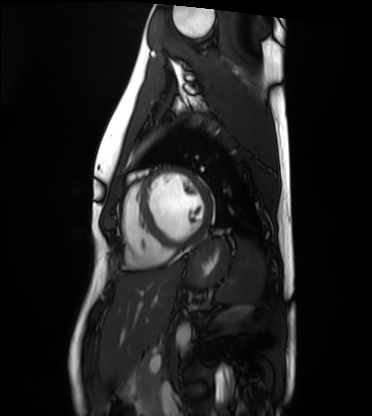
Cardiac MRI.
Subject group: healthy volunteer.